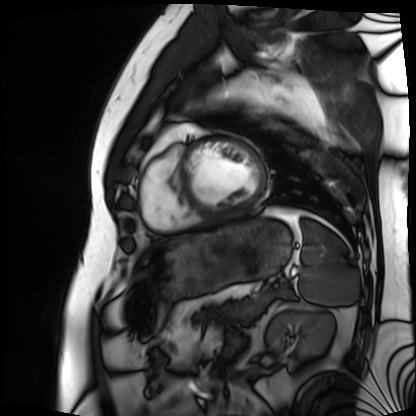
Summary: Cardiac MRI. Subject group: patient.